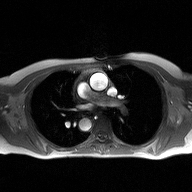
Case summary: 2D phase-contrast cine MRI of the ascending aorta, high-resolution GRAPPA acquisition.